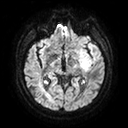
Clinical context: 3 Tesla brain MRI. Series: diffusion tensor imaging (medium iso). Study: ring-enhancing brain masses.